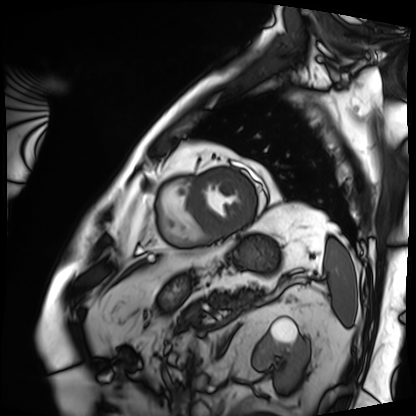
Summary: Cardiac MRI. Subject group: patient.